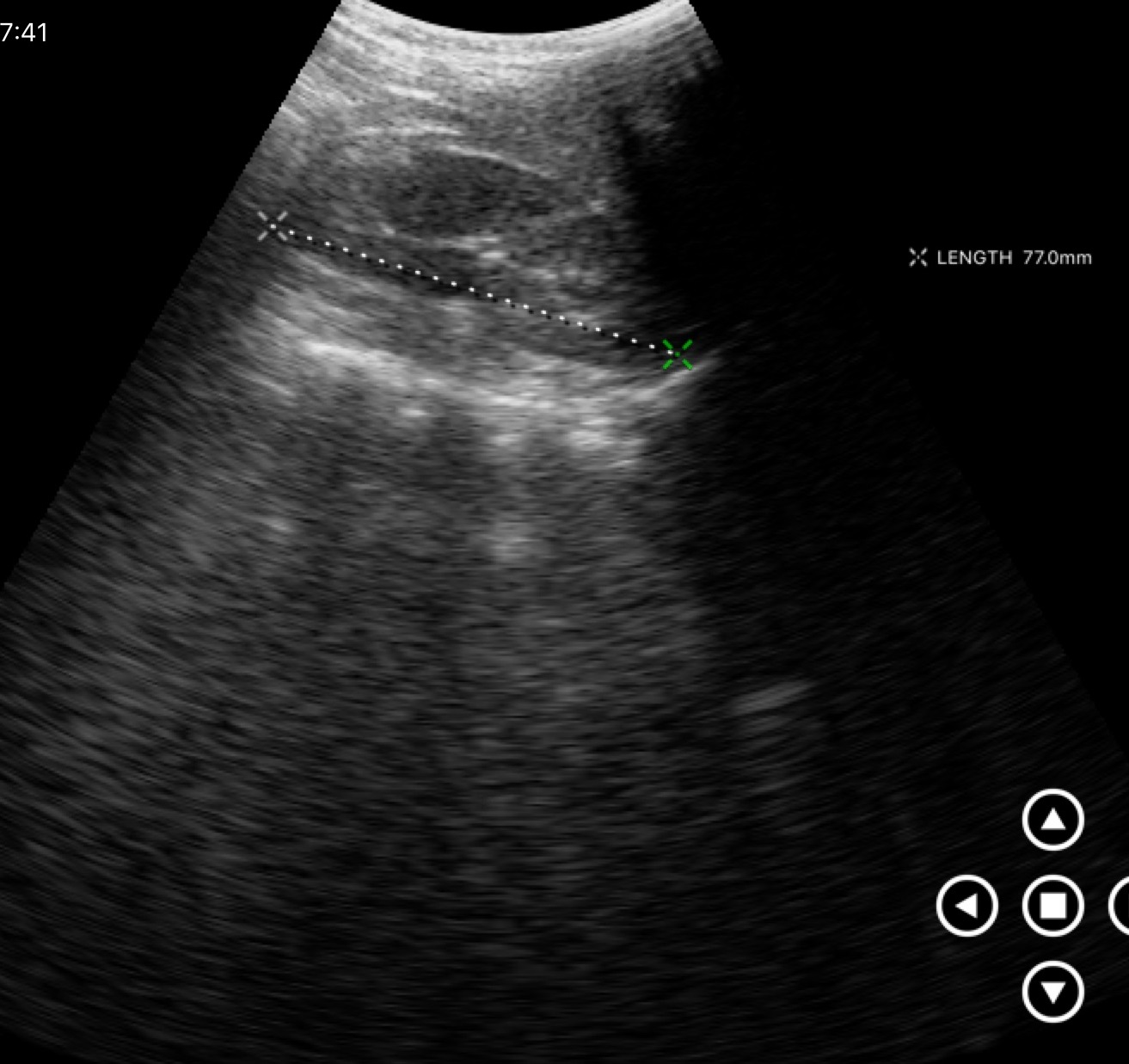
Summary:
Genitourinary ultrasound.